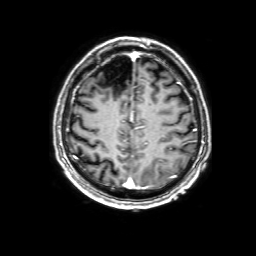
* modality: 3 Tesla brain MRI
* series: 3D T1-weighted with SENSE
* study: ring-enhancing brain masses